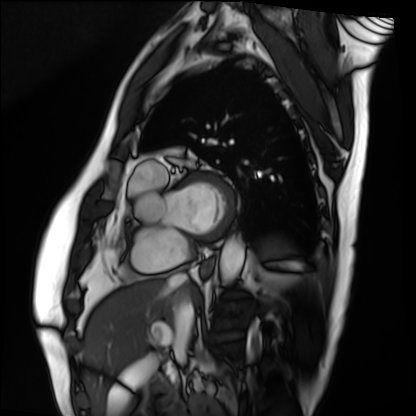
Summary:
Cardiac MRI. Subject group: patient.